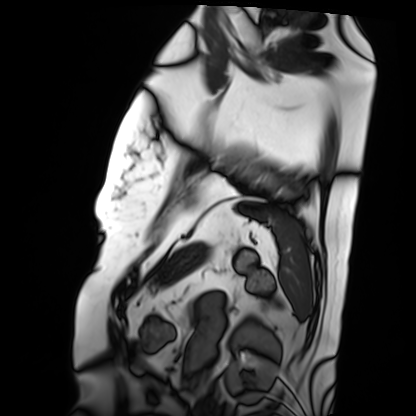
Cardiac MRI.
Subject group: patient.